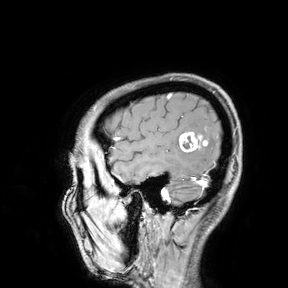
Clinical context:
3 Tesla brain MRI. Study: ring-enhancing brain masses.